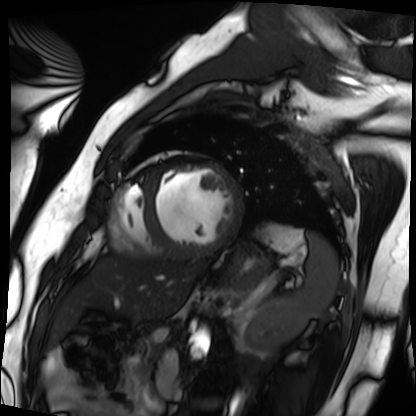
Case:
* modality · cardiac MRI
* subject group · patient